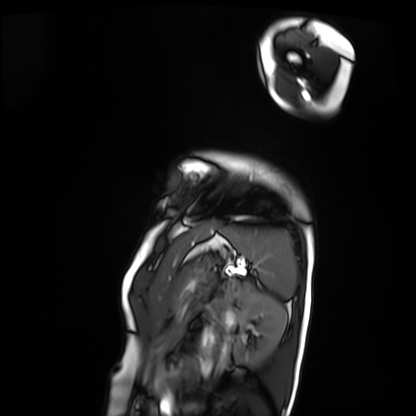
modality = cardiac MRI; subject group = patient.